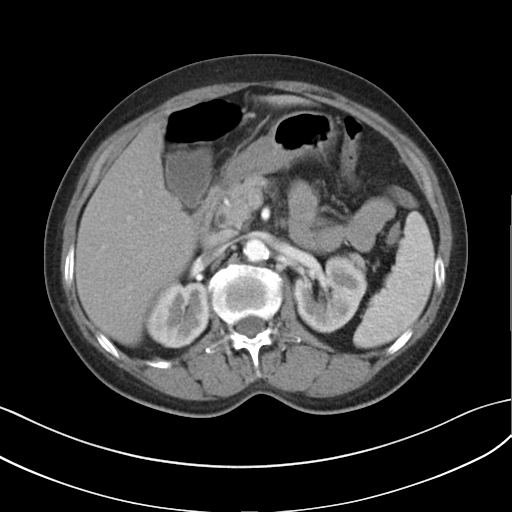
Q: What kind of scan is this?
A: Multiphase abdominal CT, liver, arterial phase.
Q: Patient?
A: Female, age 61.